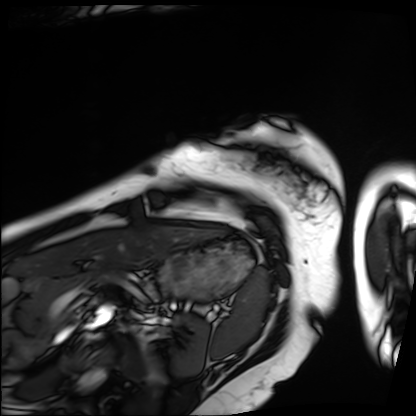
{"modality": "cardiac MRI", "cohort": "patient"}